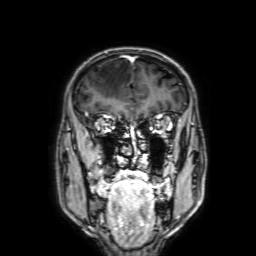
  modality:
    type: brain MRI
    field_strength: 3T
  series: 3D T1-weighted with SENSE
  study_topic: ring-enhancing brain masses